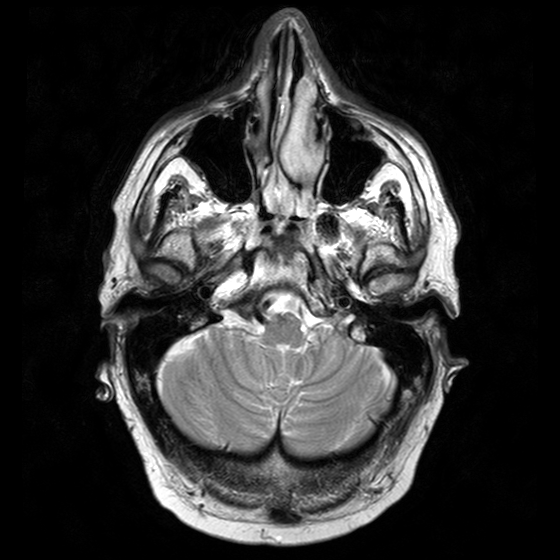
modality = 3 Tesla brain MRI; series = T2-weighted turbo spin echo with CLEAR; study = ring-enhancing brain masses.